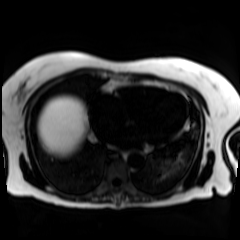
• modality · chemical-shift-encoded cardiac MRI